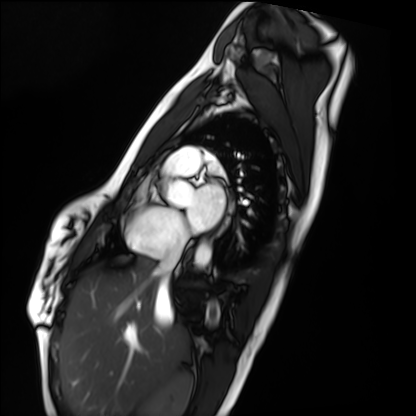
Cardiac MRI.
Subject group: healthy volunteer.